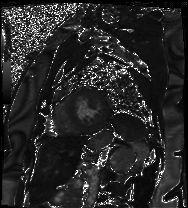
Cardiac MRI. Subject group: patient.